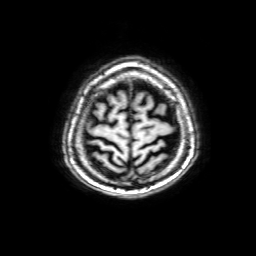
{
  "modality": {
    "type": "brain MRI",
    "field_strength": "3T"
  },
  "series": "3D T1-weighted with SENSE",
  "study_topic": "ring-enhancing brain masses"
}